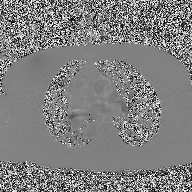
2D phase-contrast cine MRI of the ascending aorta, high-resolution GRAPPA acquisition.